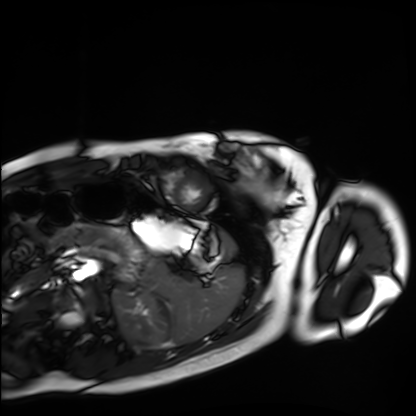
modality: cardiac MRI; subject group: healthy volunteer.